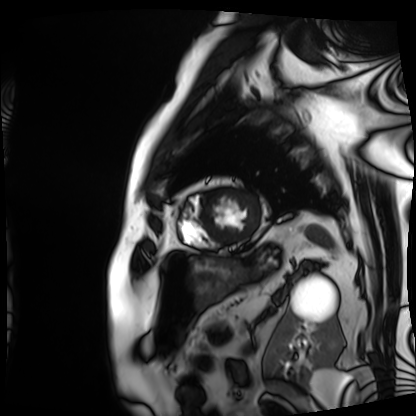
Cardiac MRI.
Subject group: patient.